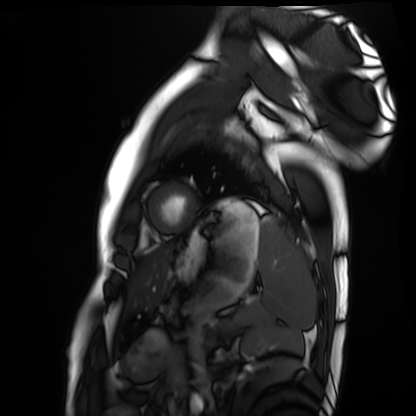
modality — cardiac MRI
subject group — healthy volunteer